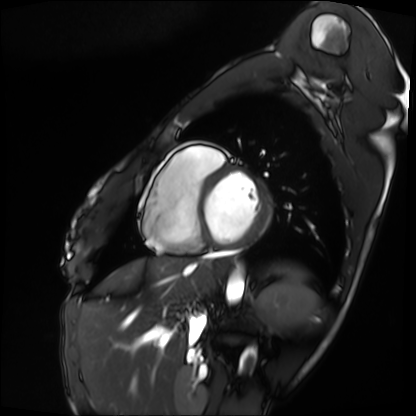
  modality: cardiac MRI
  cohort: patient